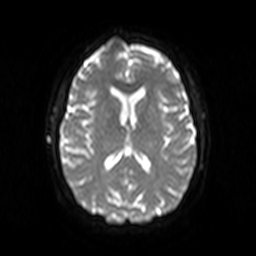
- modality · 3 Tesla brain MRI
- study · ring-enhancing brain masses